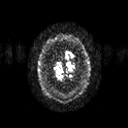
3 Tesla brain MRI.
Series: diffusion tensor imaging (medium iso).
Study: ring-enhancing brain masses.